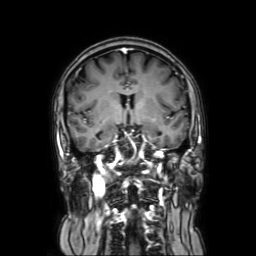
3 Tesla brain MRI. Series: coronal with contrast. Study: ring-enhancing brain masses.